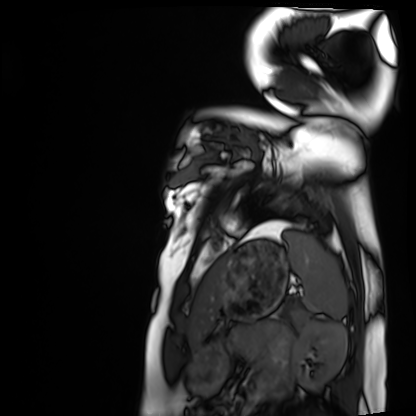
Summary:
Cardiac MRI. Subject group: healthy volunteer.